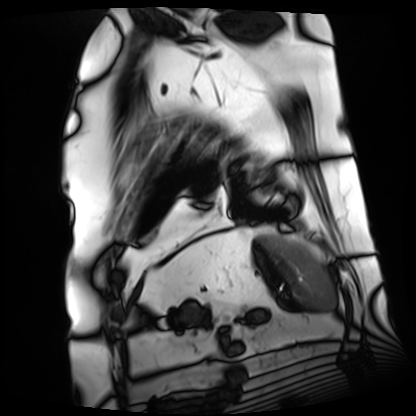
Cardiac MRI. Subject group: patient.